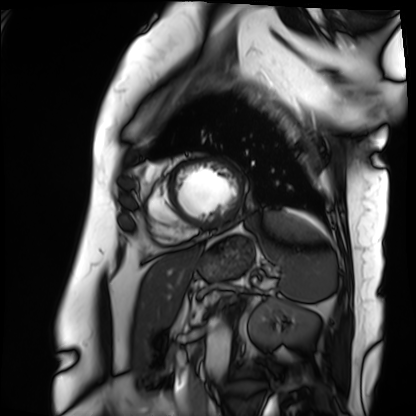
<case>
<modality>cardiac MRI</modality>
<cohort>patient</cohort>
</case>